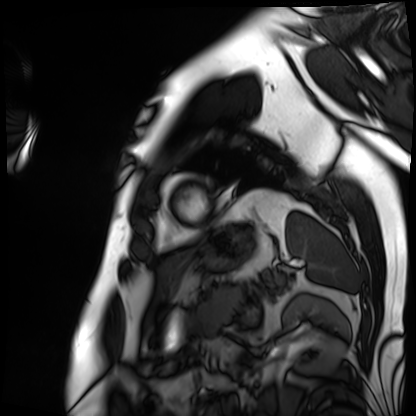
<study>
  <modality>cardiac MRI</modality>
  <cohort>patient</cohort>
</study>